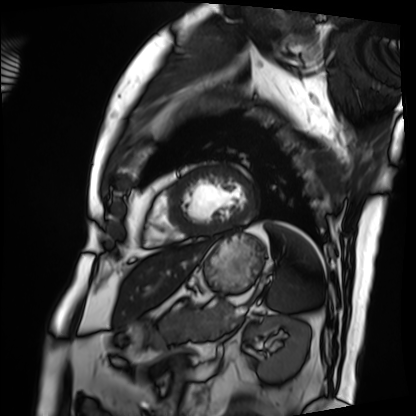
Cardiac MRI. Subject group: patient.